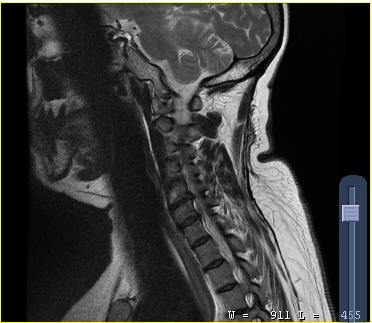
{
  "modality": {
    "type": "cervical spine MRI"
  },
  "study_topic": "cervical spondylosis"
}